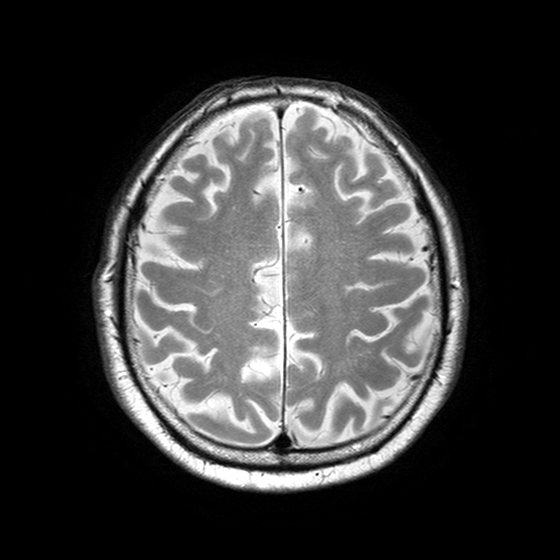
Summary:
3 Tesla brain MRI. Series: T2-weighted turbo spin echo with SENSE. Study: ring-enhancing brain masses.